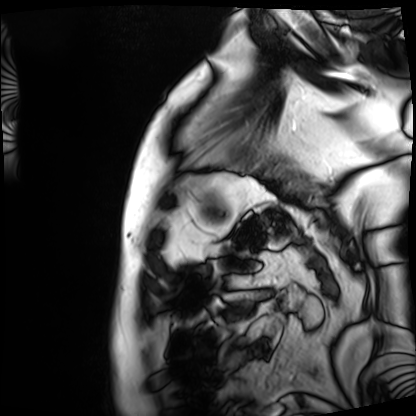
Clinical context:
Cardiac MRI. Subject group: patient.